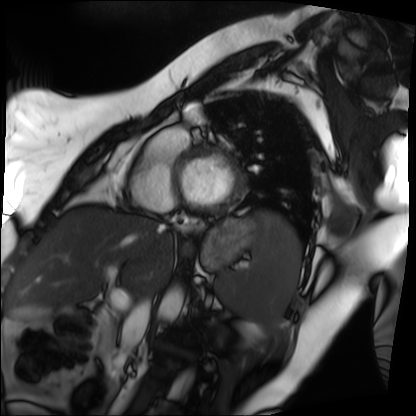
{
  "modality": "cardiac MRI",
  "cohort": "patient"
}